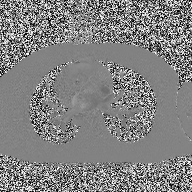
- modality: 2D phase-contrast cine MRI of the ascending aorta